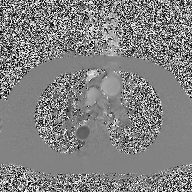
2D phase-contrast cine MRI of the ascending aorta, high-resolution GRAPPA acquisition.